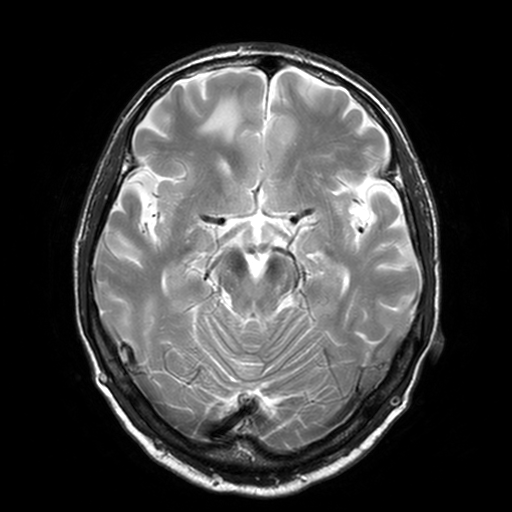
• modality · 3 Tesla brain MRI
• series · T2-weighted turbo spin echo, 3 mm
• study · ring-enhancing brain masses